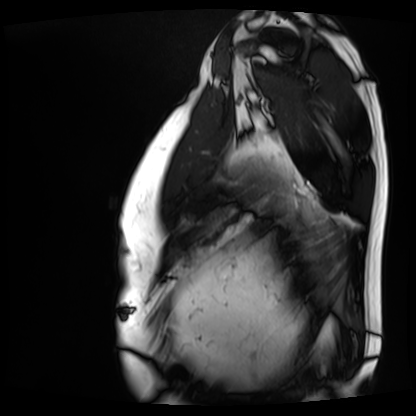
Cardiac MRI. Subject group: patient.